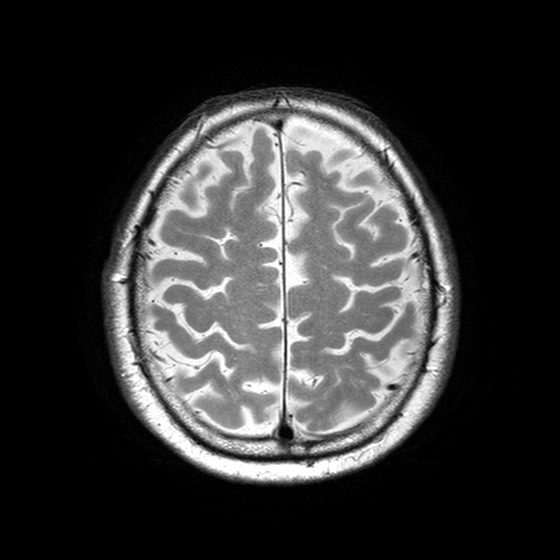
• modality · 3 Tesla brain MRI
• study · ring-enhancing brain masses